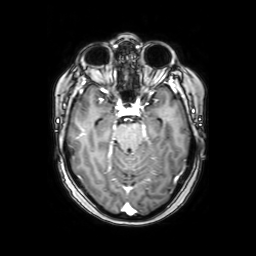
<record>
  <modality>
    <type>brain MRI</type>
    <field_strength>3T</field_strength>
  </modality>
  <study_topic>ring-enhancing brain masses</study_topic>
</record>